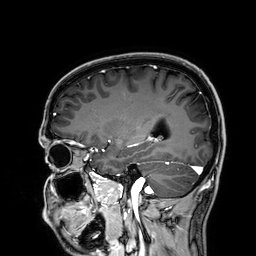
Case summary: 3 Tesla brain MRI. Series: 3D T1-weighted. Study: ring-enhancing brain masses.